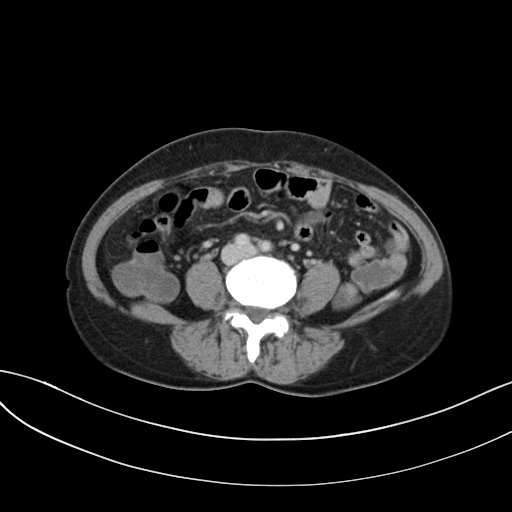
{
  "modality": {
    "type": "multiphase abdominal CT",
    "region": "liver",
    "phase": "delayed"
  },
  "patient": {
    "sex": "female",
    "age": 54
  }
}